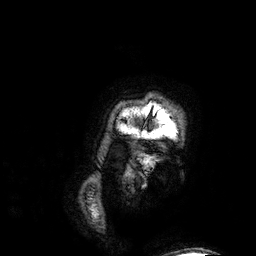
modality: 3 Tesla brain MRI | series: 3D T1-weighted | study: ring-enhancing brain masses.